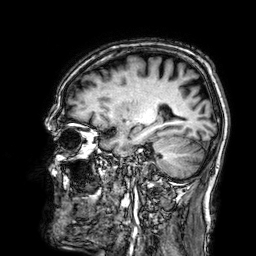
3 Tesla brain MRI.
Series: 3D T1-weighted.
Study: ring-enhancing brain masses.